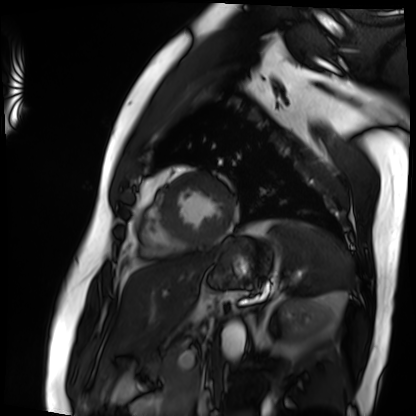
Cardiac MRI.
Subject group: patient.